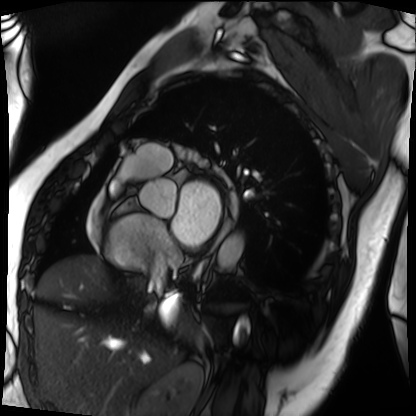
modality = cardiac MRI | subject group = patient.